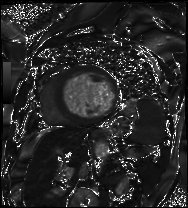
Q: What kind of scan is this?
A: Cardiac MRI.
Subject group: patient.